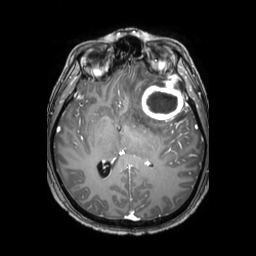
3 Tesla brain MRI.
Series: 3D T1-weighted TFE with SENSE.
Study: ring-enhancing brain masses.